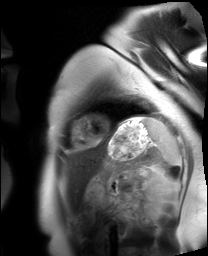
Cardiac MRI.
Subject group: healthy volunteer.